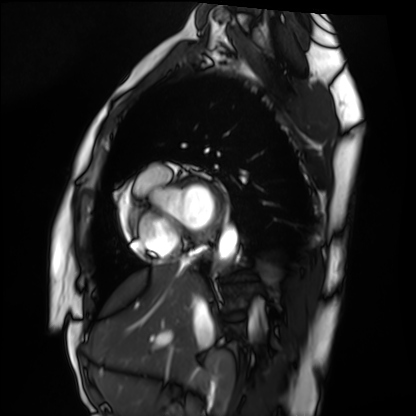
Cardiac MRI. Subject group: healthy volunteer.